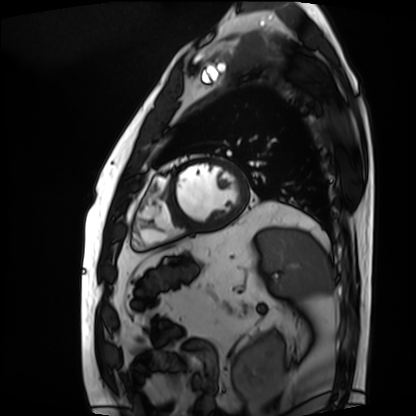
modality=cardiac MRI; subject group=patient.